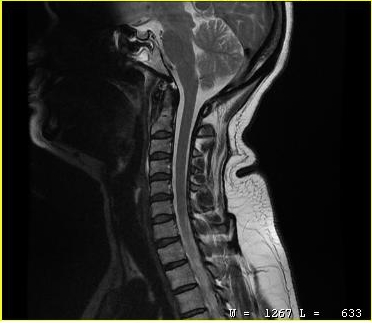
| field | value |
|---|---|
| modality | MRI of the cervical spine |
| study | cervical spondylosis |